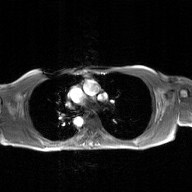
– modality · 2D phase-contrast cine MRI of the ascending aorta, GAN super-resolution reconstruction